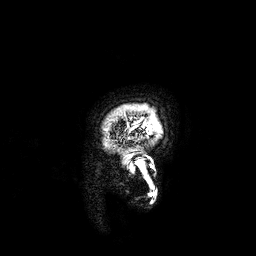
3 Tesla brain MRI.
Series: 3D T1-weighted.
Study: ring-enhancing brain masses.